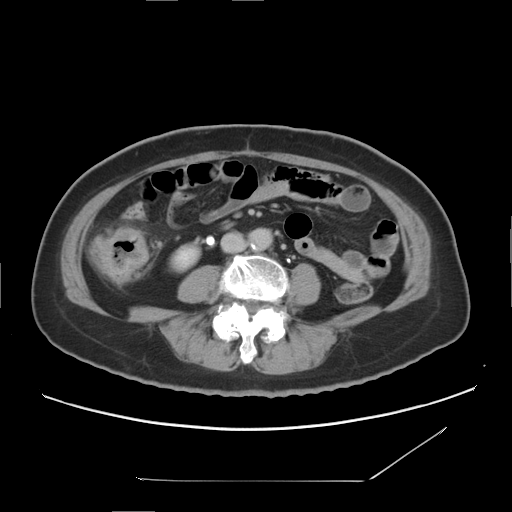
| field | value |
|---|---|
| modality | multiphase abdominal CT, liver, delayed phase |